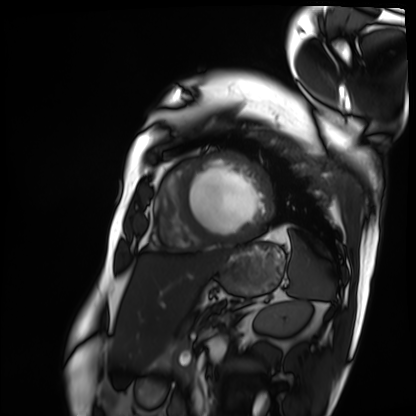
Q: What kind of scan is this?
A: Cardiac MRI.
Subject group: patient.